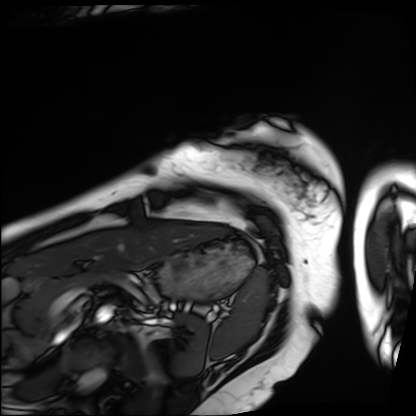
Case summary: Cardiac MRI. Subject group: patient.